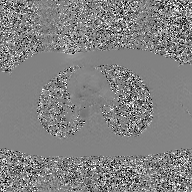
Summary:
2D phase-contrast cine MRI of the ascending aorta, GAN super-resolution reconstruction.